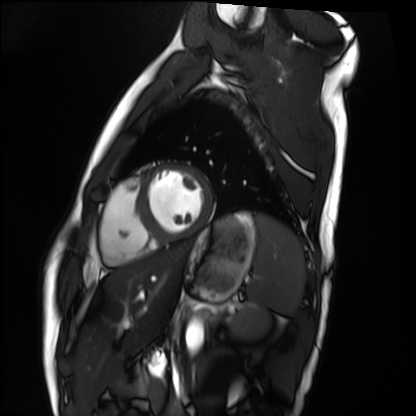
Cardiac MRI. Subject group: healthy volunteer.